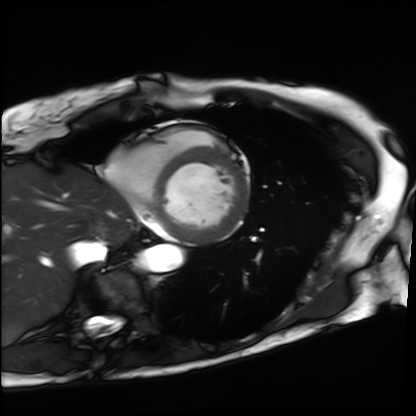
Cardiac MRI.
Subject group: patient.